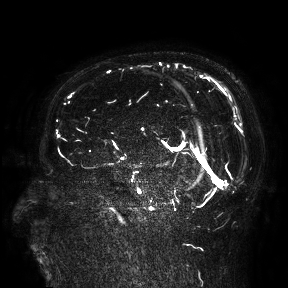
3 Tesla brain MRI.
Study: ring-enhancing brain masses.